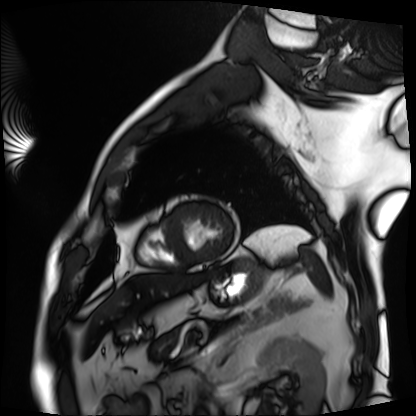
Cardiac MRI. Subject group: patient.